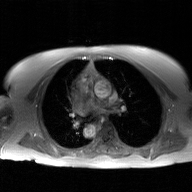
modality — 2D phase-contrast cine MRI of the ascending aorta, GAN super-resolution reconstruction.